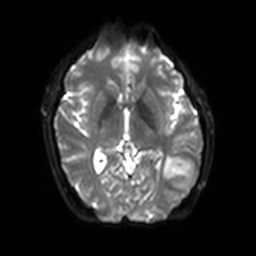
Summary: 3 Tesla brain MRI. Series: diffusion-weighted imaging with SENSE (WIP). Study: ring-enhancing brain masses.